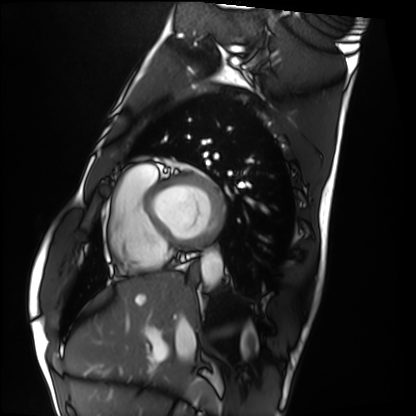
Cardiac MRI. Subject group: healthy volunteer.